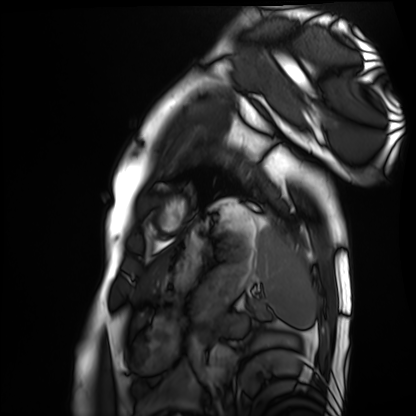
• modality — cardiac MRI
• subject group — healthy volunteer